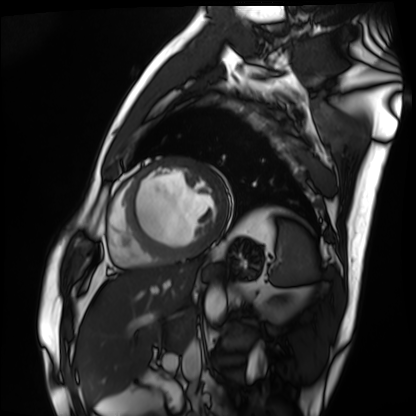
modality: cardiac MRI
cohort: patient